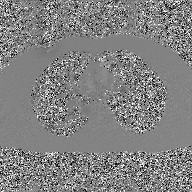
modality: 2D phase-contrast cine MRI of the ascending aorta, GAN super-resolution reconstruction.